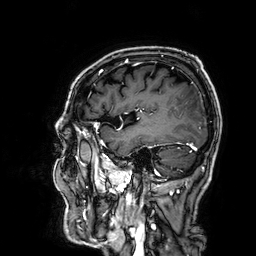
Q: What kind of scan is this?
A: 3 Tesla brain MRI.
Q: Series?
A: 3D T1-weighted.
Study: ring-enhancing brain masses.